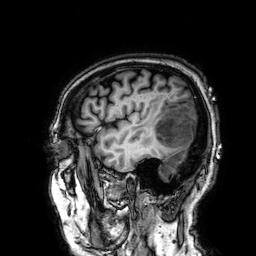
3 Tesla brain MRI. Series: 3D T1-weighted. Study: ring-enhancing brain masses.